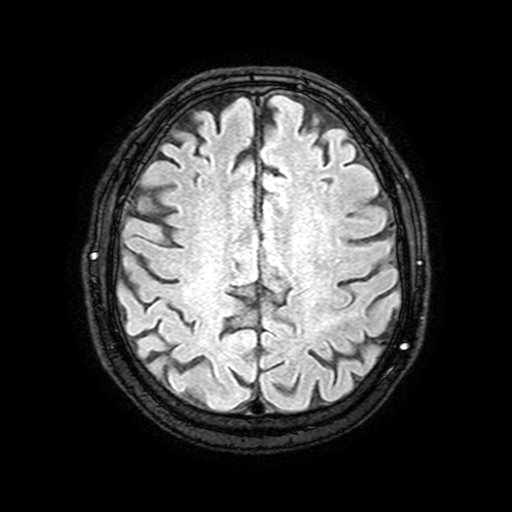
Summary: 3 Tesla brain MRI. Series: FLAIR with SPAIR, 3 mm. Study: ring-enhancing brain masses.